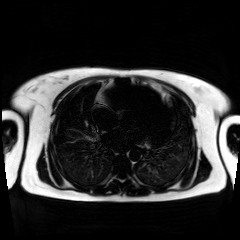
Summary: Chemical-shift-encoded cardiac MRI.